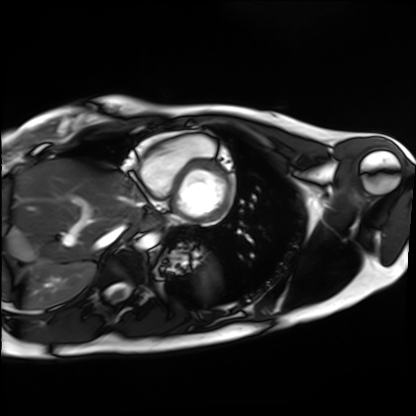
Case summary:
Cardiac MRI. Subject group: healthy volunteer.